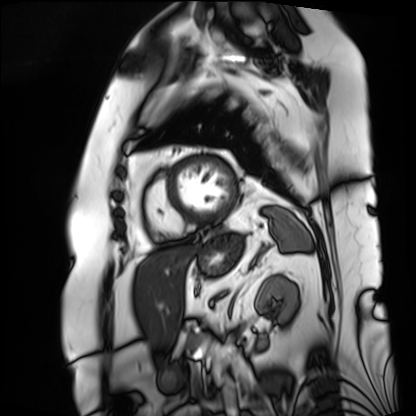
modality = cardiac MRI | subject group = patient.